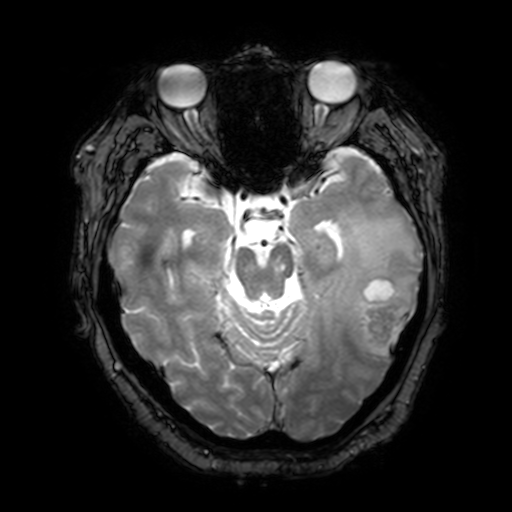
Q: What kind of scan is this?
A: 3 Tesla brain MRI.
Q: Series?
A: T2-weighted fast field echo with SENSE.
Study: ring-enhancing brain masses.